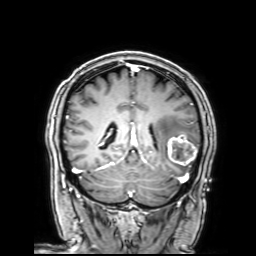
modality: 3 Tesla brain MRI
study: ring-enhancing brain masses